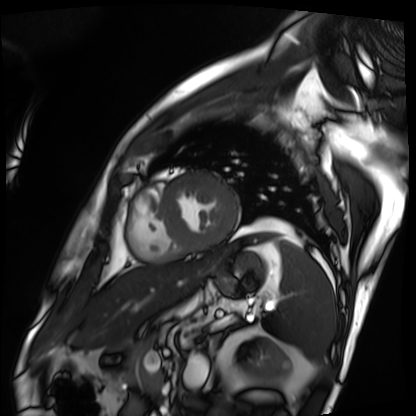
modality: cardiac MRI | subject group: patient.